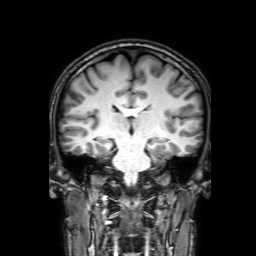
3 Tesla brain MRI. Series: 3D T1-weighted with SENSE. Study: ring-enhancing brain masses.